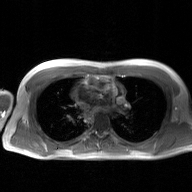
modality: 2D phase-contrast cine MRI of the ascending aorta, GAN super-resolution reconstruction.